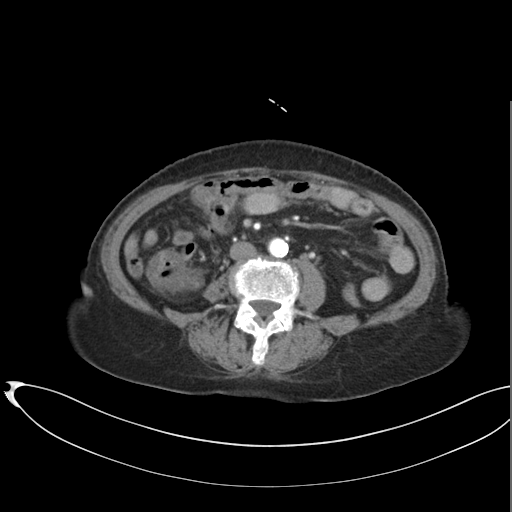
Multiphase abdominal CT, liver, arterial phase. Patient: female, age 75. History: cirrhosis.